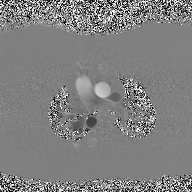
Case summary: 2D phase-contrast cine MRI of the ascending aorta, high-resolution GRAPPA acquisition.